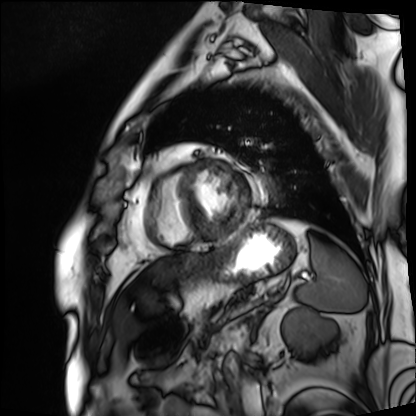
Q: What kind of scan is this?
A: Cardiac MRI.
Subject group: patient.